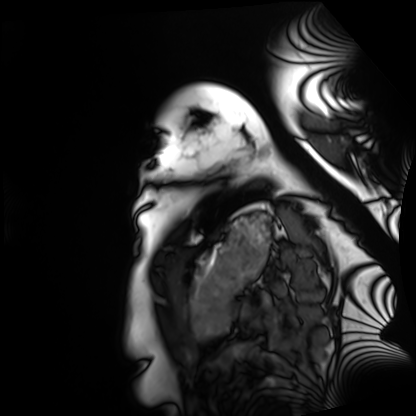
Cardiac MRI. Subject group: healthy volunteer.